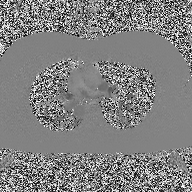
Summary:
2D phase-contrast cine MRI of the ascending aorta, high-resolution GRAPPA acquisition.